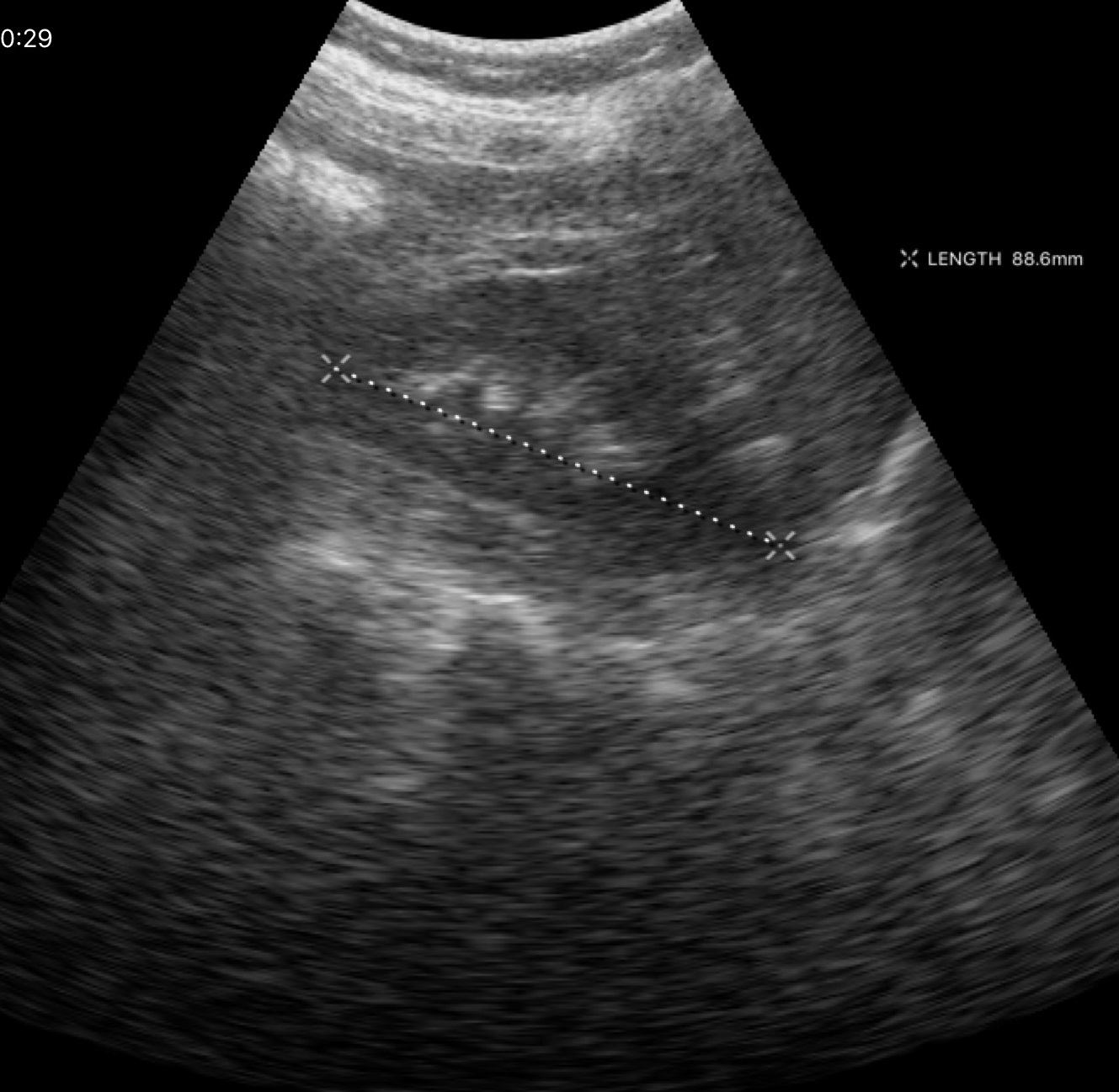
Case:
* modality — genitourinary ultrasound